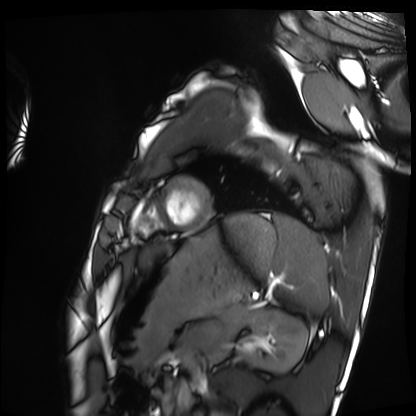
Cardiac MRI. Subject group: healthy volunteer.